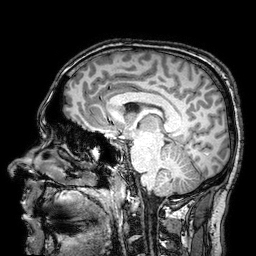
Summary:
3 Tesla brain MRI. Series: 3D T1-weighted turbo field echo with SENSE. Study: ring-enhancing brain masses.